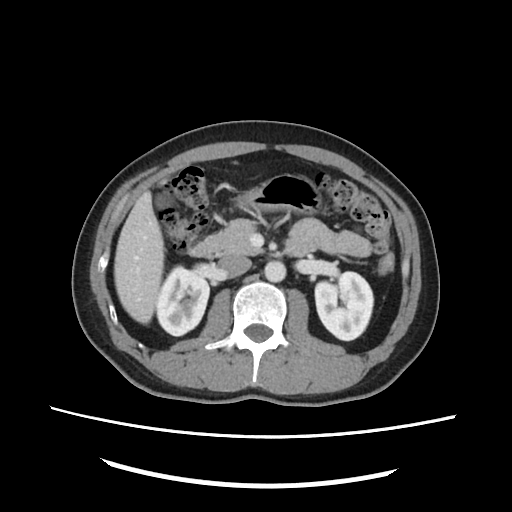
Summary:
Multiphase abdominal CT, liver, portal venous phase. Patient: male, age 40.